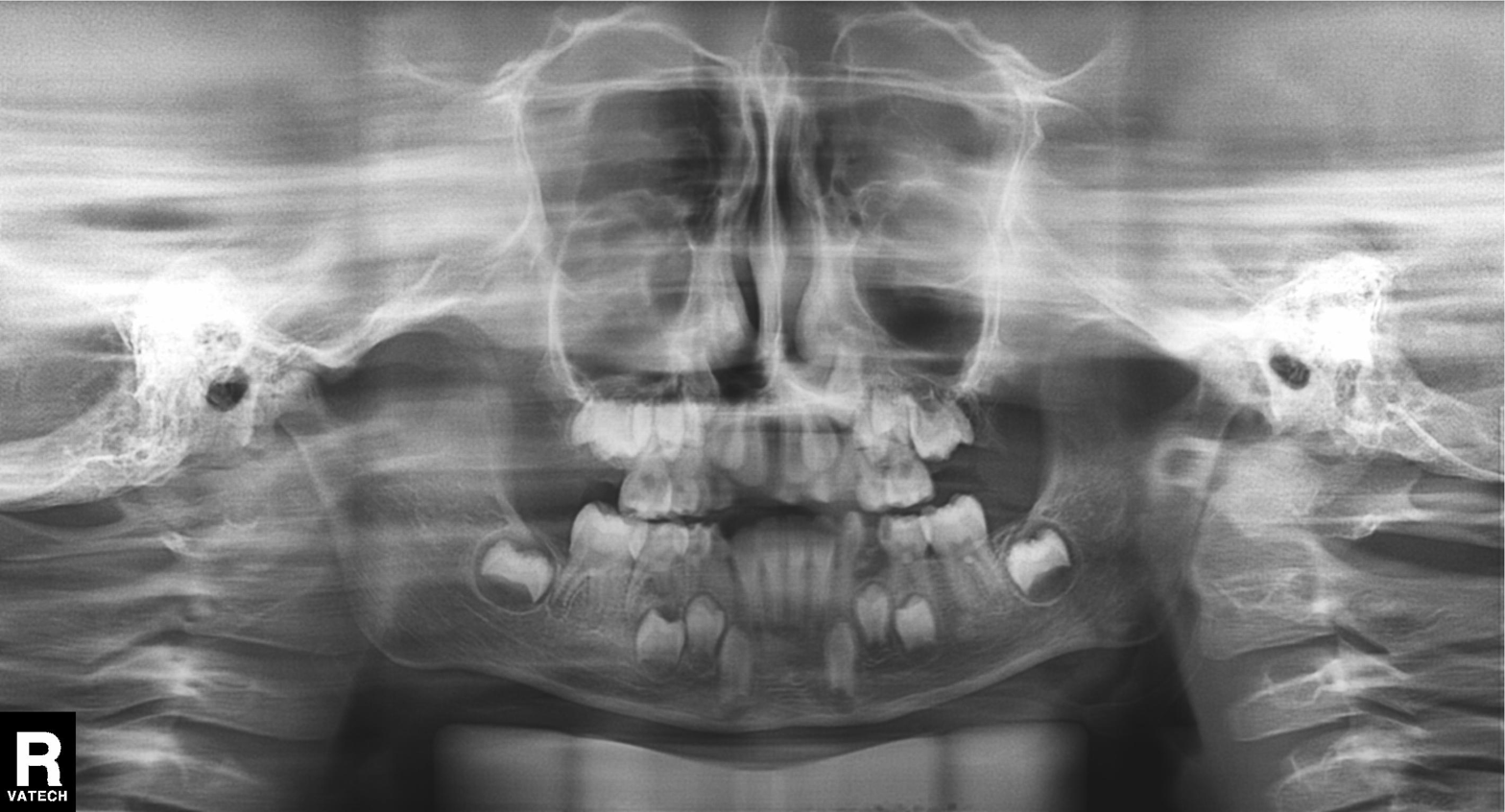
Panoramic dental radiograph (orthopantomogram). Finding: alveolar bone loss.